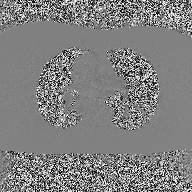
2D phase-contrast cine MRI of the ascending aorta, high-resolution GRAPPA acquisition.